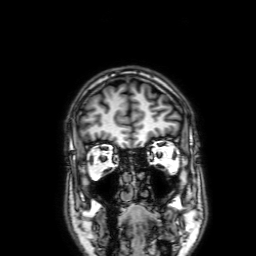
3 Tesla brain MRI.
Series: 3D T1-weighted with SENSE.
Study: ring-enhancing brain masses.